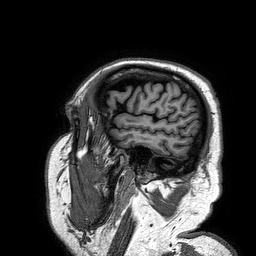
3 Tesla brain MRI.
Series: 3D T1-weighted turbo field echo.
Study: ring-enhancing brain masses.